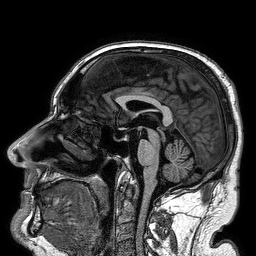
3 Tesla brain MRI. Series: 3D T1-weighted turbo field echo. Study: ring-enhancing brain masses.